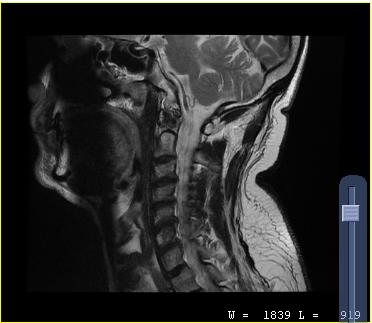
<scan>
  <modality>
    <type>cervical spine MRI</type>
  </modality>
  <study_topic>cervical spondylosis</study_topic>
</scan>